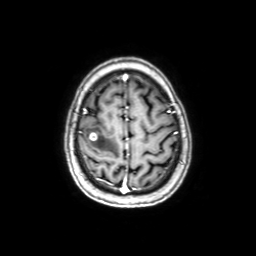
| field | value |
|---|---|
| modality | 3 Tesla brain MRI |
| series | axial with contrast |
| study | ring-enhancing brain masses |